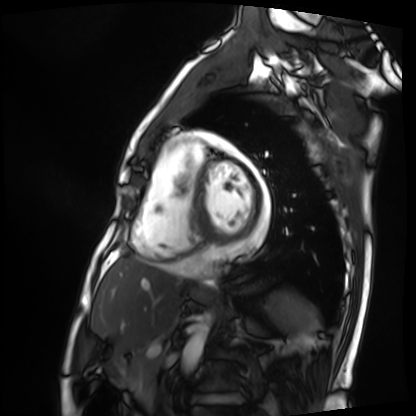
modality = cardiac MRI
subject group = patient